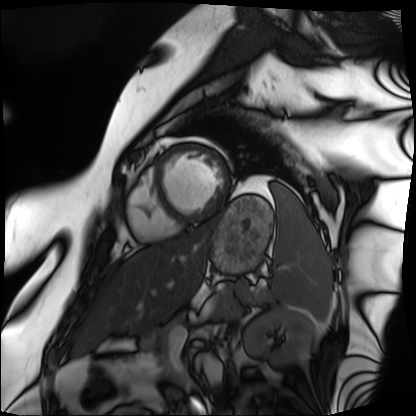
{"modality": "cardiac MRI", "cohort": "patient"}